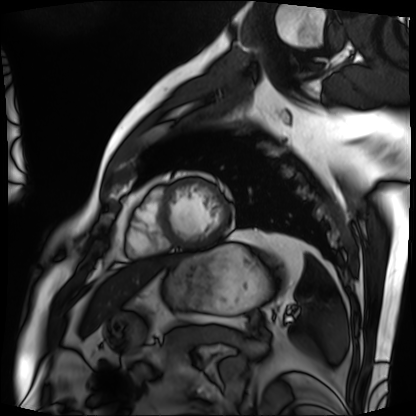
modality: cardiac MRI; subject group: patient.